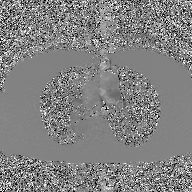
2D phase-contrast cine MRI of the ascending aorta, GAN super-resolution reconstruction.